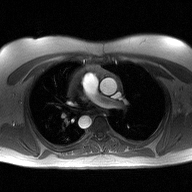
modality:
  type: 2D phase-contrast cine MRI
  region: ascending aorta
  reconstruction: high-resolution GRAPPA acquisition